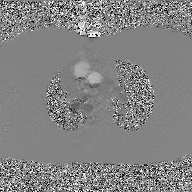
{
  "modality": {
    "type": "2D phase-contrast cine MRI",
    "region": "ascending aorta",
    "reconstruction": "GAN super-resolution reconstruction"
  }
}